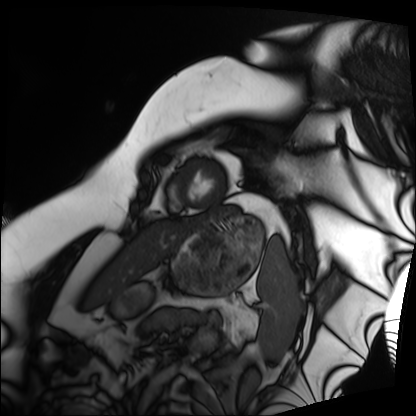
Q: What kind of scan is this?
A: Cardiac MRI.
Subject group: patient.